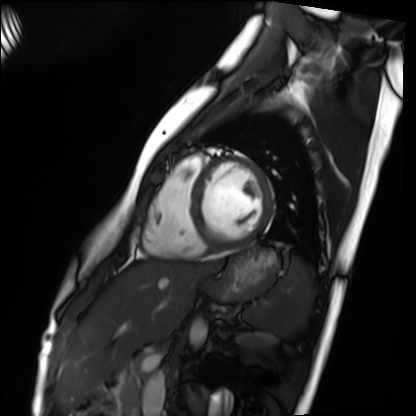
Q: What kind of scan is this?
A: Cardiac MRI.
Subject group: healthy volunteer.